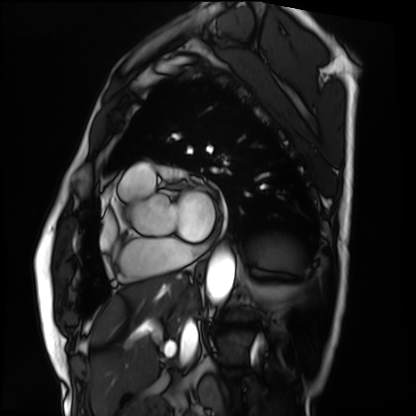
Clinical context:
Cardiac MRI. Subject group: patient.